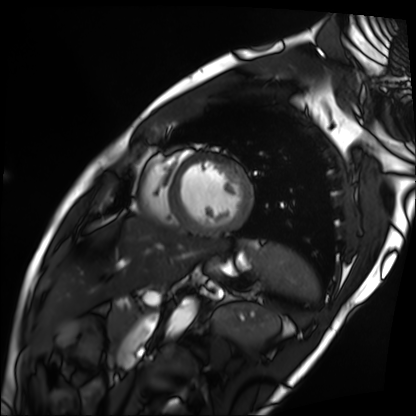
Summary:
Cardiac MRI. Subject group: patient.